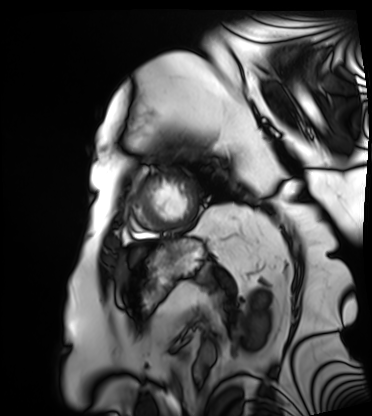
modality: cardiac MRI; subject group: patient.